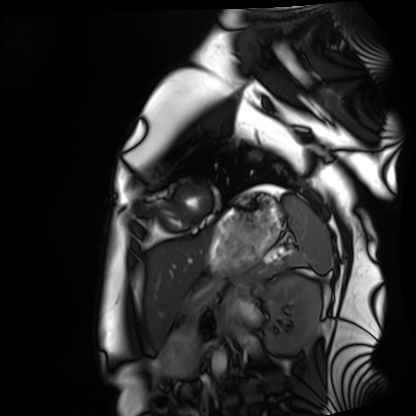
modality = cardiac MRI
subject group = healthy volunteer